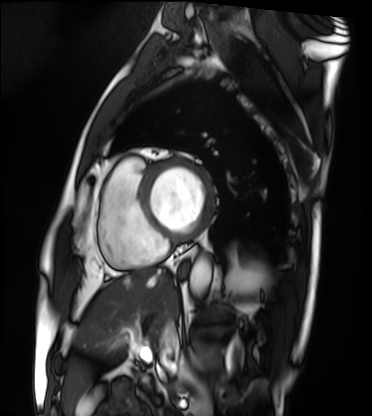
{
  "modality": "cardiac MRI",
  "cohort": "patient"
}